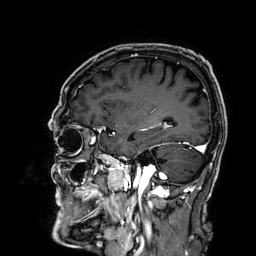
Summary: 3 Tesla brain MRI. Series: 3D T1-weighted. Study: ring-enhancing brain masses.